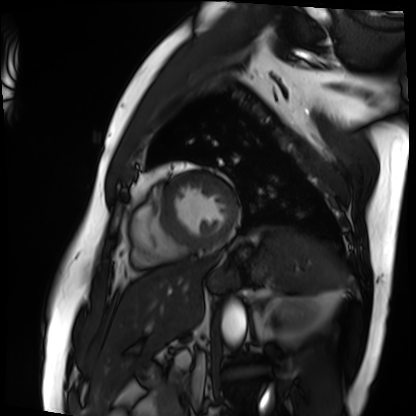
  modality: cardiac MRI
  cohort: patient